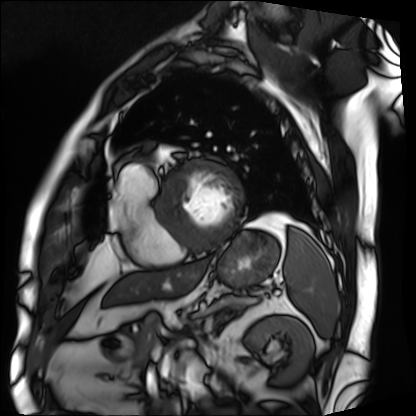
Summary: Cardiac MRI. Subject group: patient.